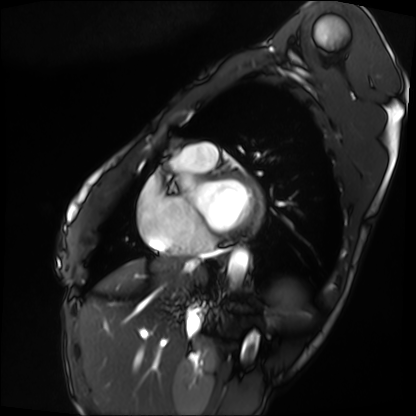
modality: cardiac MRI
cohort: patient